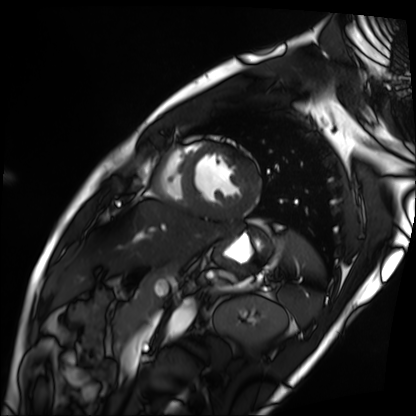
Q: What kind of scan is this?
A: Cardiac MRI.
Subject group: patient.